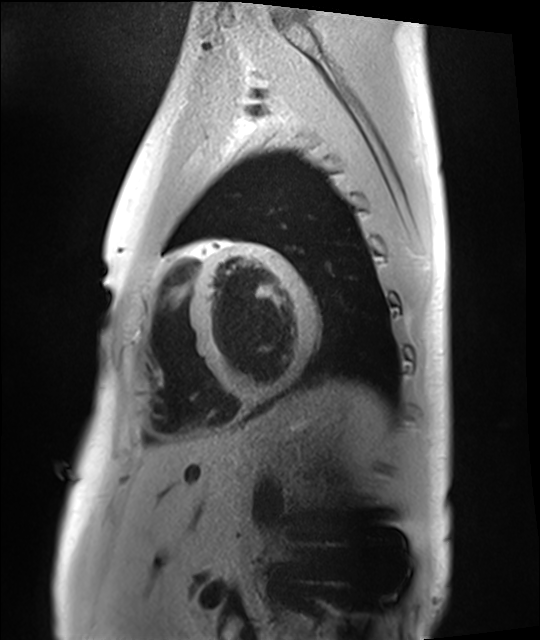
Cardiac MRI. Subject group: healthy volunteer.